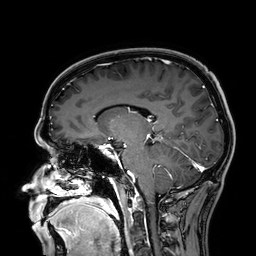
{
  "modality": {
    "type": "brain MRI",
    "field_strength": "3T"
  },
  "study_topic": "ring-enhancing brain masses"
}